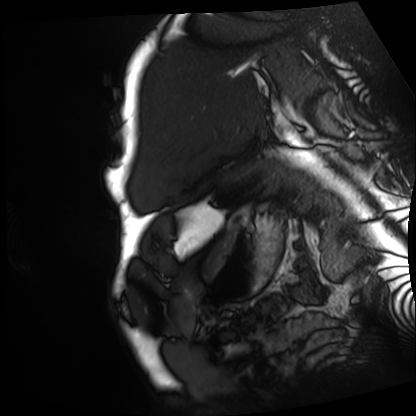
• modality — cardiac MRI
• subject group — patient